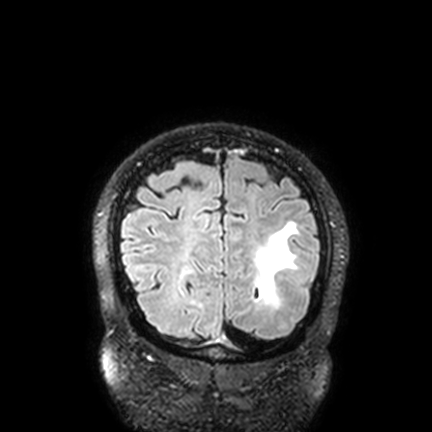
3 Tesla brain MRI. Series: FLAIR VISTA with SENSE. Study: ring-enhancing brain masses.